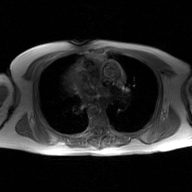
modality: 2D phase-contrast cine MRI of the ascending aorta, GAN super-resolution reconstruction